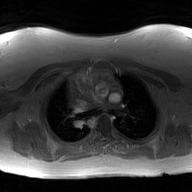
Summary:
2D phase-contrast cine MRI of the ascending aorta, GAN super-resolution reconstruction.